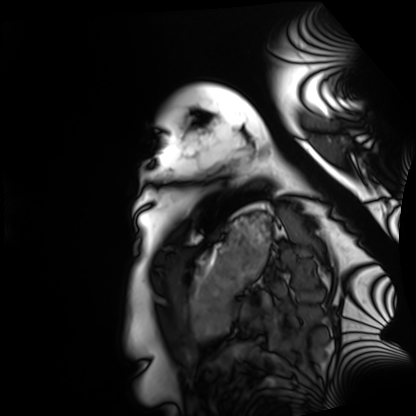
Cardiac MRI. Subject group: healthy volunteer.